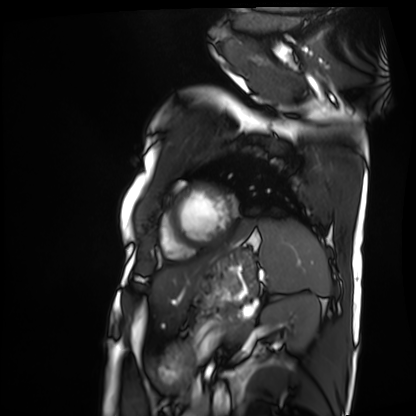
Cardiac MRI.
Subject group: patient.